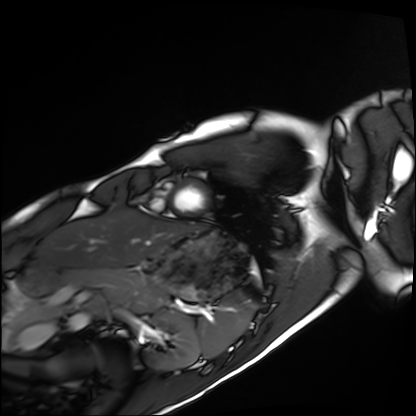
* modality — cardiac MRI
* subject group — healthy volunteer